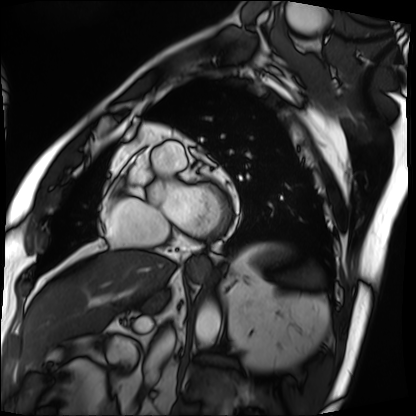
Cardiac MRI. Subject group: patient.